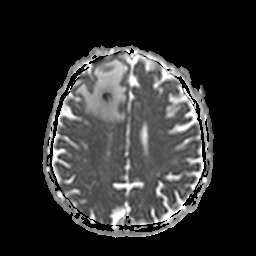
Summary: 3 Tesla brain MRI. Series: apparent diffusion coefficient (ADC) map. Study: ring-enhancing brain masses.